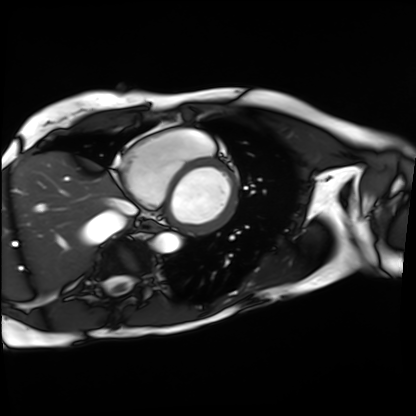
Case:
* modality: cardiac MRI
* subject group: patient